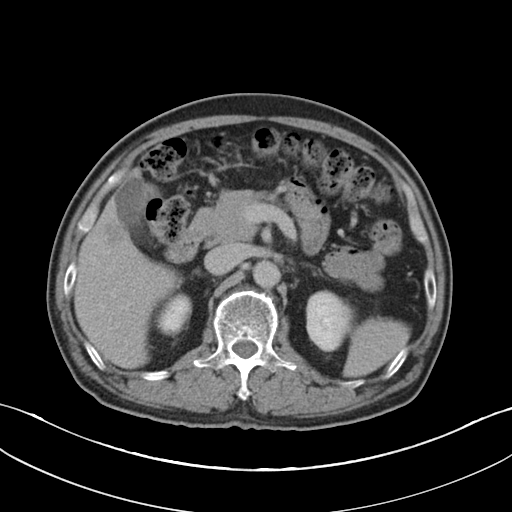
Q: What kind of scan is this?
A: Multiphase abdominal CT, liver, delayed phase.
Q: Patient?
A: Male, age 66.
Q: History?
A: Cirrhosis.